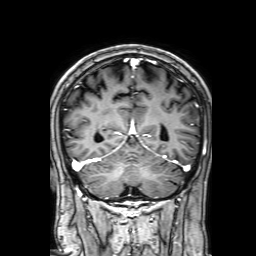
3 Tesla brain MRI. Series: 3D T1-weighted with SENSE. Study: ring-enhancing brain masses.